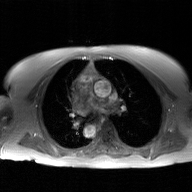
<study>
  <modality>
    <type>2D phase-contrast cine MRI</type>
    <region>ascending aorta</region>
    <reconstruction>GAN super-resolution reconstruction</reconstruction>
  </modality>
</study>